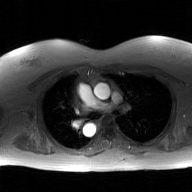
modality: 2D phase-contrast cine MRI of the ascending aorta, GAN super-resolution reconstruction